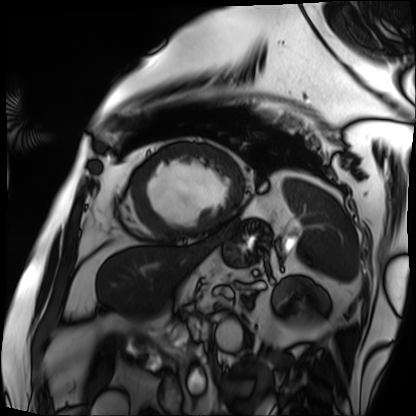
modality: cardiac MRI
cohort: patient